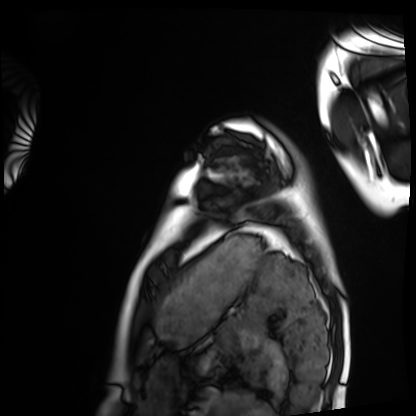
<scan>
  <modality>cardiac MRI</modality>
  <cohort>healthy volunteer</cohort>
</scan>